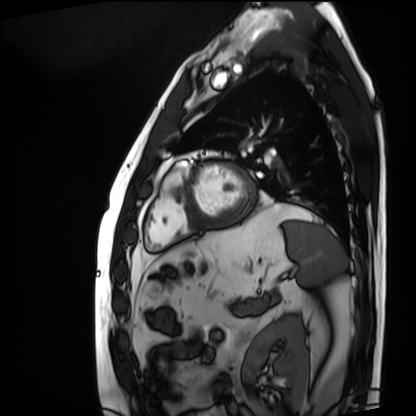
• modality — cardiac MRI
• subject group — patient